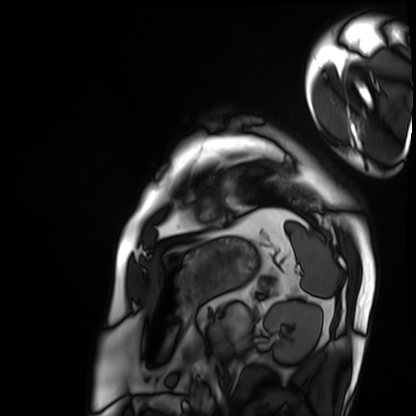
Cardiac MRI.
Subject group: patient.